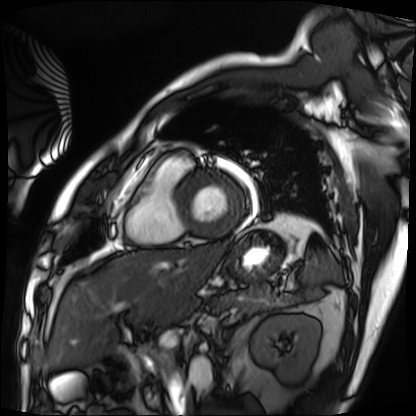
{
  "modality": "cardiac MRI",
  "cohort": "patient"
}